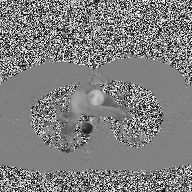
modality: 2D phase-contrast cine MRI of the ascending aorta.